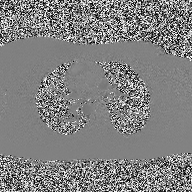
modality=2D phase-contrast cine MRI of the ascending aorta.